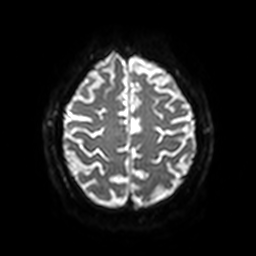
3 Tesla brain MRI. Series: diffusion-weighted imaging with SENSE (WIP). Study: ring-enhancing brain masses.